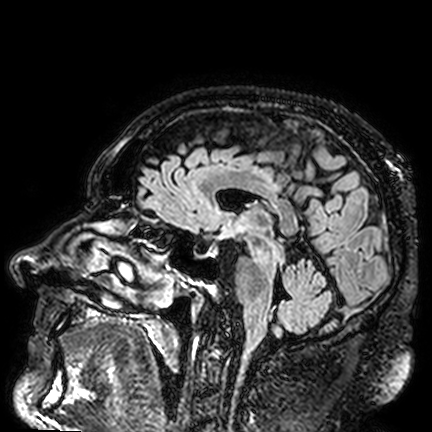
3 Tesla brain MRI. Series: FLAIR VISTA. Study: ring-enhancing brain masses.